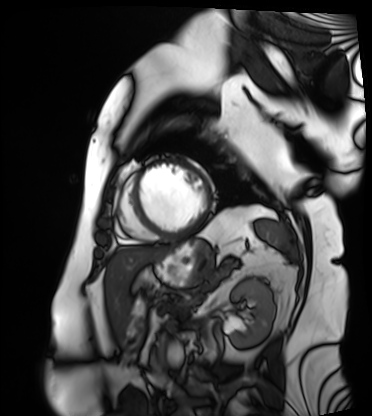
Clinical context: Cardiac MRI. Subject group: patient.